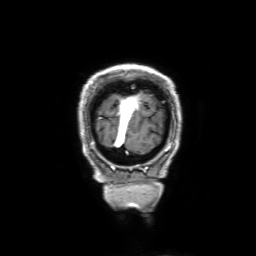
modality=3 Tesla brain MRI
series=3D T1-weighted with SENSE
study=ring-enhancing brain masses